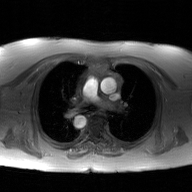
<case>
<modality>
  <type>2D phase-contrast cine MRI</type>
  <region>ascending aorta</region>
  <reconstruction>GAN super-resolution reconstruction</reconstruction>
</modality>
</case>